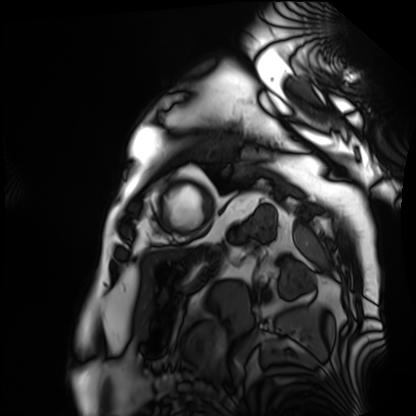
Cardiac MRI. Subject group: patient.